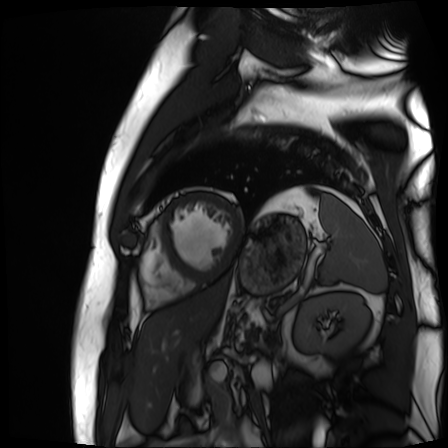
Summary: Cardiac MR image of the myocardium. Subject cohort: cardiac patient.